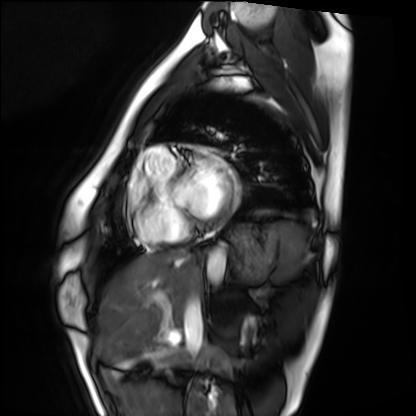
modality: cardiac MRI, subject group: healthy volunteer.